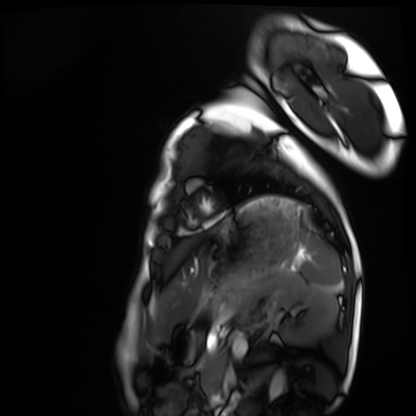
Case summary:
Cardiac MRI. Subject group: healthy volunteer.